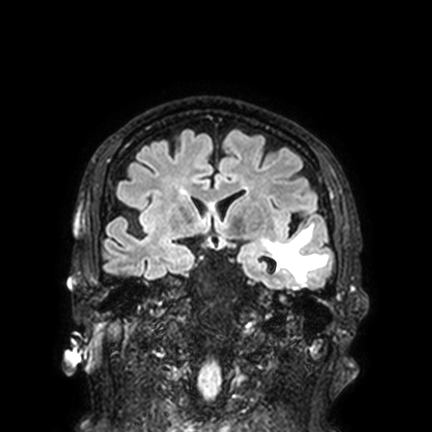
- modality — 3 Tesla brain MRI
- series — FLAIR VISTA with SENSE
- study — ring-enhancing brain masses